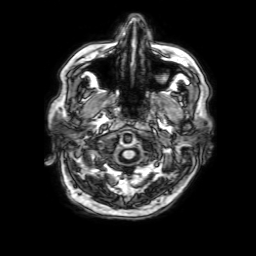
| field | value |
|---|---|
| modality | 3 Tesla brain MRI |
| study | ring-enhancing brain masses |